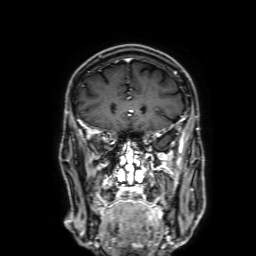
Case summary:
3 Tesla brain MRI. Study: ring-enhancing brain masses.